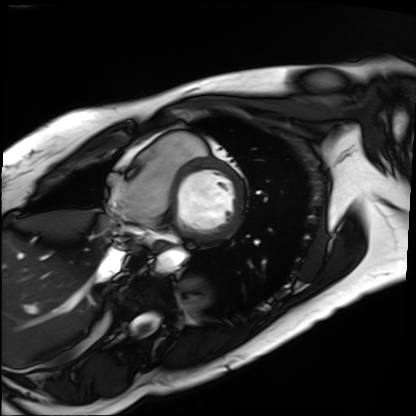
Clinical context:
Cardiac MRI. Subject group: patient.